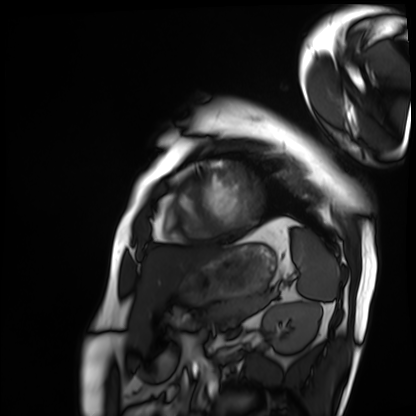
modality: cardiac MRI
cohort: patient